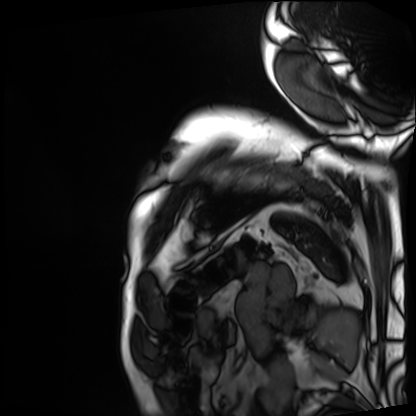
• modality: cardiac MRI
• subject group: patient